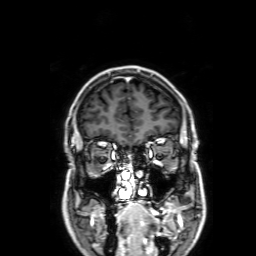
Summary:
3 Tesla brain MRI. Series: 3D T1-weighted with SENSE. Study: ring-enhancing brain masses.